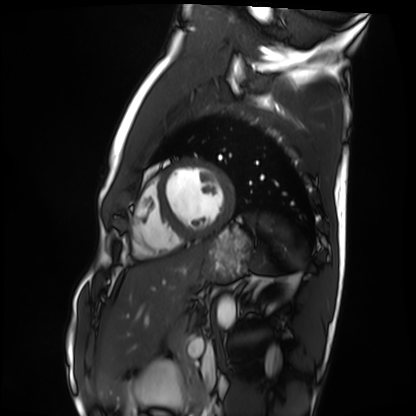
modality=cardiac MRI | subject group=healthy volunteer.